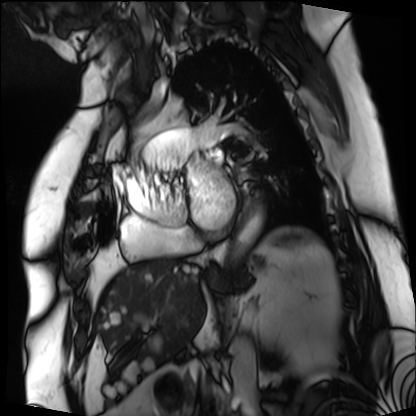
{"modality": "cardiac MRI", "cohort": "patient"}